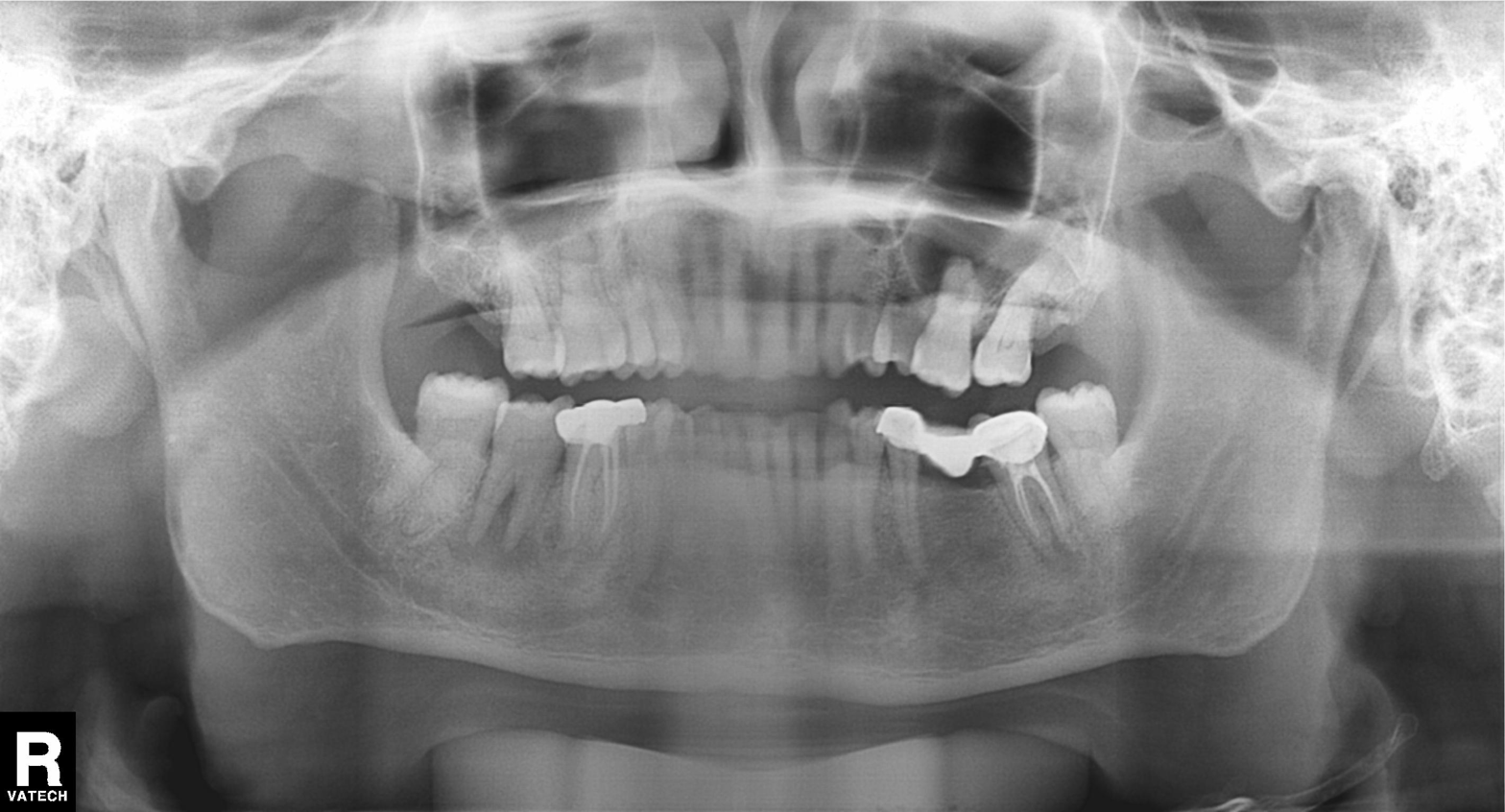
Panoramic dental radiograph (orthopantomogram). Finding: dental caries (cavities).